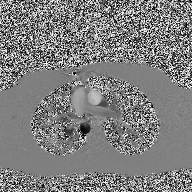
- modality · 2D phase-contrast cine MRI of the ascending aorta